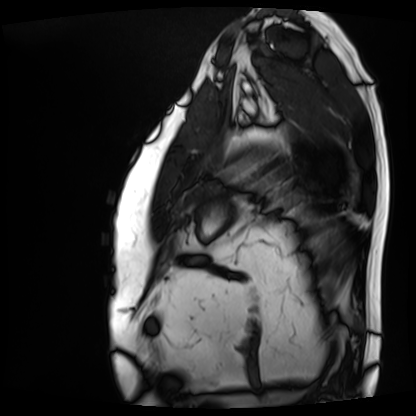
Clinical context:
Cardiac MRI. Subject group: patient.